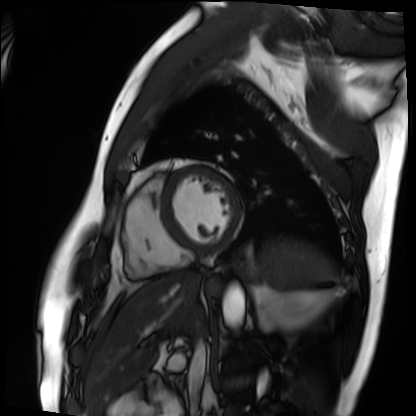
Cardiac MRI.
Subject group: patient.